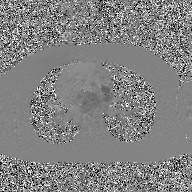
2D phase-contrast cine MRI of the ascending aorta, GAN super-resolution reconstruction.